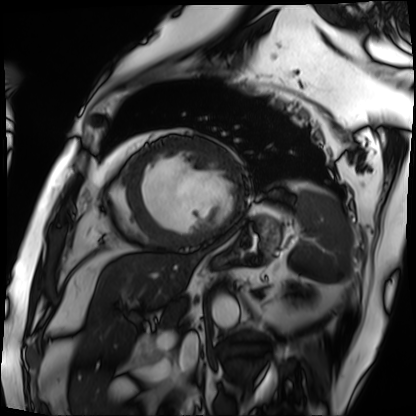
Cardiac MRI. Subject group: patient.